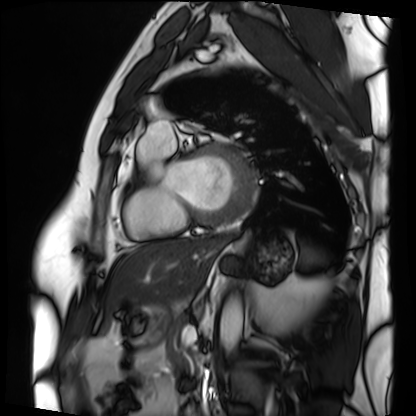
Cardiac MRI. Subject group: patient.